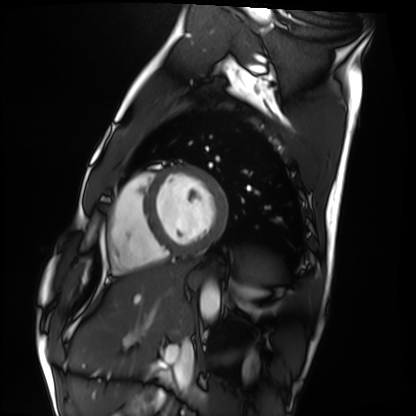
Q: What kind of scan is this?
A: Cardiac MRI.
Subject group: healthy volunteer.